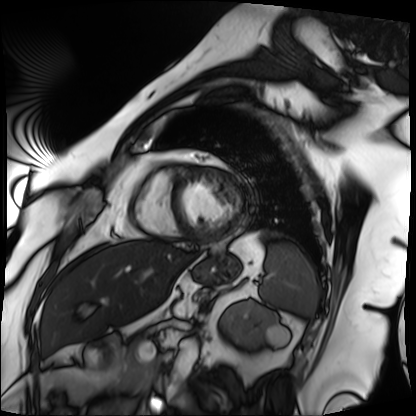
Cardiac MRI.
Subject group: patient.